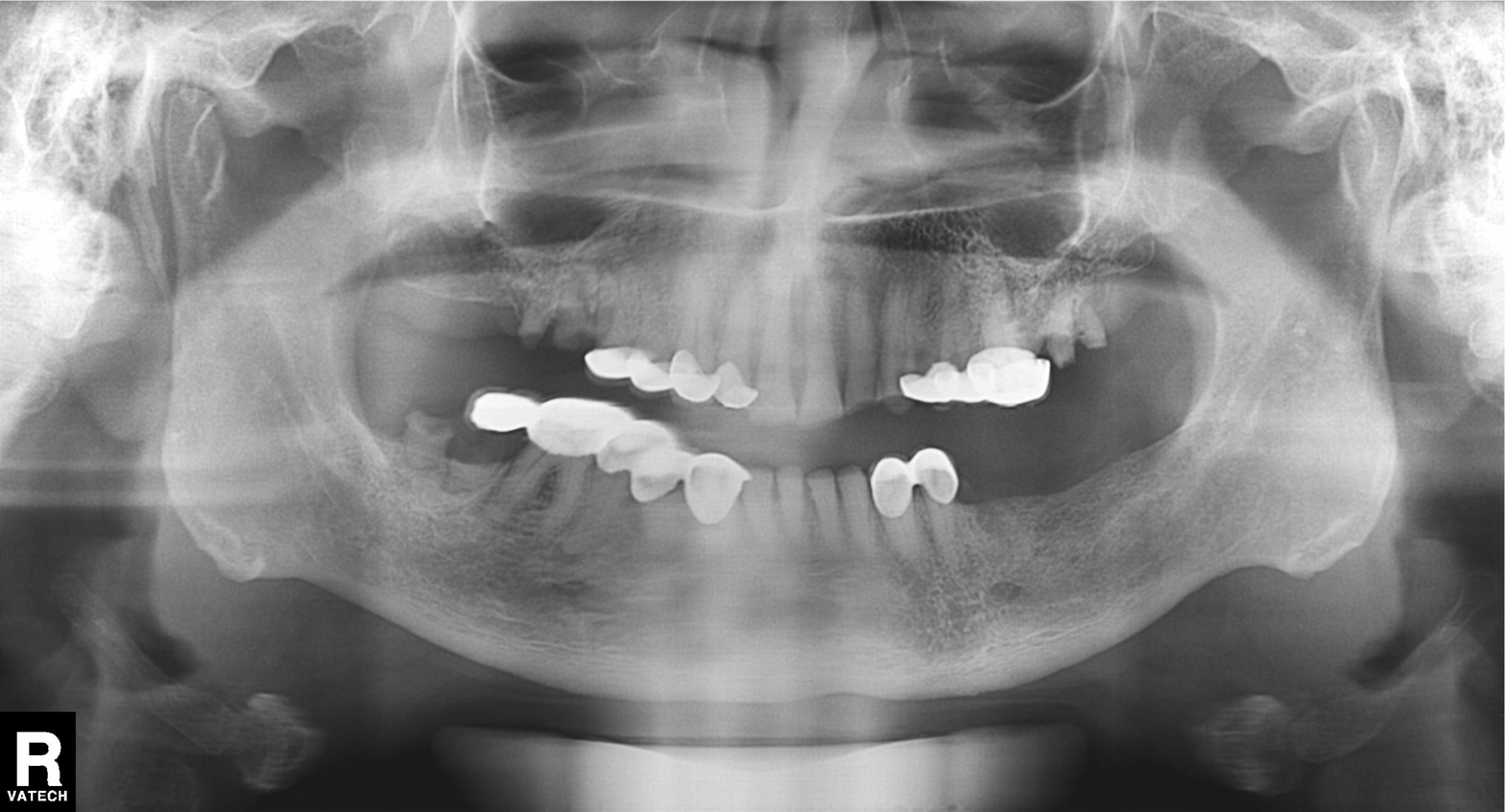
Panoramic dental radiograph (orthopantomogram). Finding: dental caries (cavities).